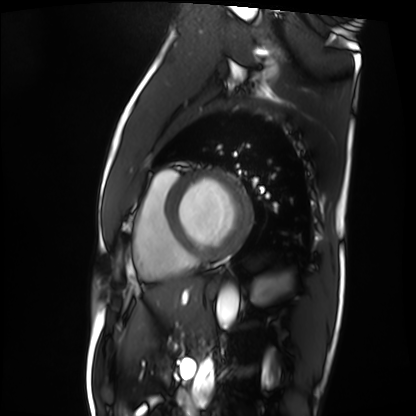
Summary: Cardiac MRI. Subject group: patient.